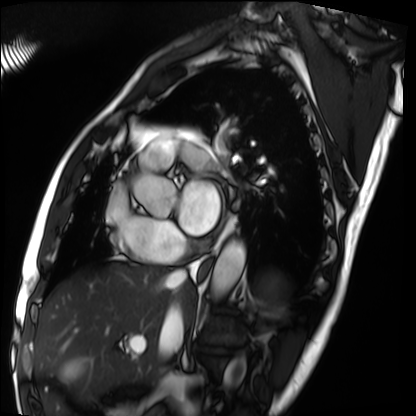
Q: What kind of scan is this?
A: Cardiac MRI.
Subject group: patient.